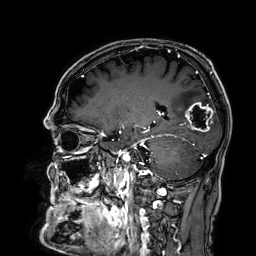
Summary: 3 Tesla brain MRI. Study: ring-enhancing brain masses.